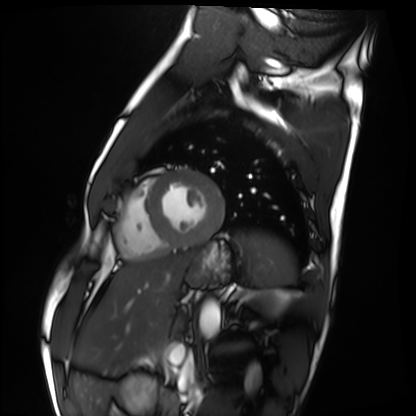
modality = cardiac MRI
subject group = healthy volunteer